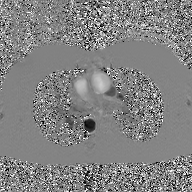
Clinical context: 2D phase-contrast cine MRI of the ascending aorta, GAN super-resolution reconstruction.